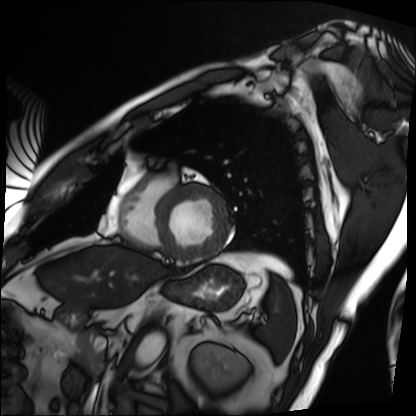
Q: What kind of scan is this?
A: Cardiac MRI.
Subject group: patient.